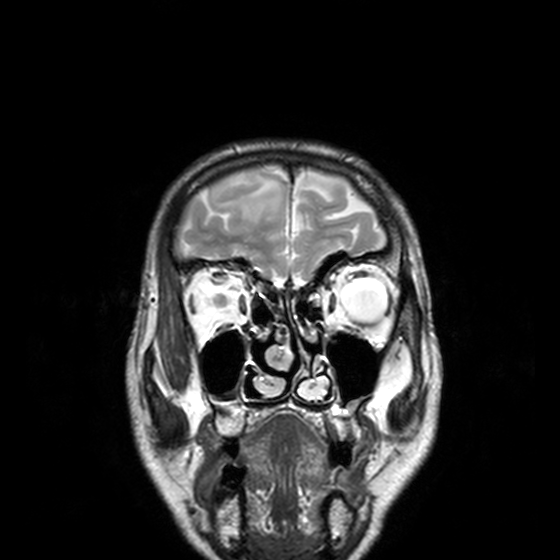
• modality · 3 Tesla brain MRI
• series · T2-weighted turbo spin echo, 3 mm
• study · ring-enhancing brain masses